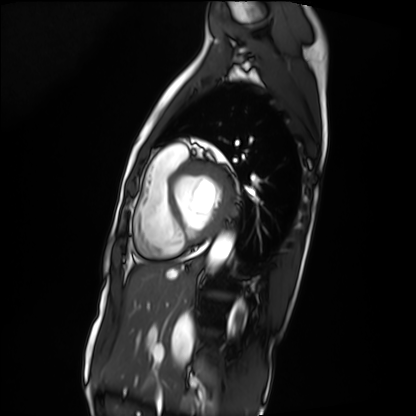
Q: What kind of scan is this?
A: Cardiac MRI.
Subject group: patient.